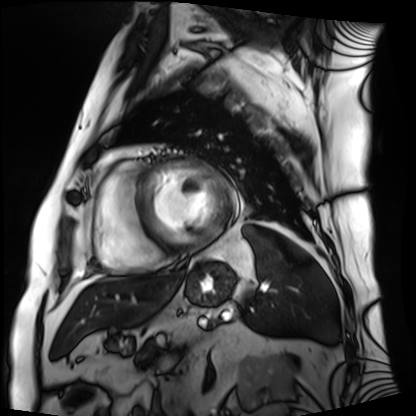
<record>
  <modality>cardiac MRI</modality>
  <cohort>patient</cohort>
</record>